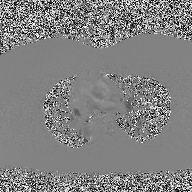
modality: 2D phase-contrast cine MRI of the ascending aorta.